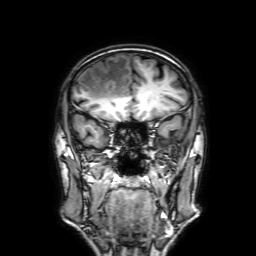
3 Tesla brain MRI. Series: 3D T1-weighted with SENSE. Study: ring-enhancing brain masses.